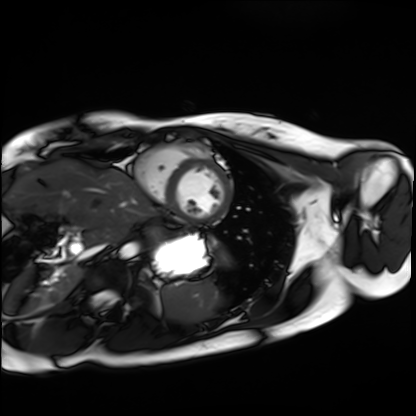
Q: What kind of scan is this?
A: Cardiac MRI.
Subject group: healthy volunteer.